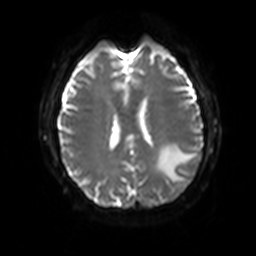
3 Tesla brain MRI. Series: diffusion-weighted imaging with SENSE (WIP). Study: ring-enhancing brain masses.